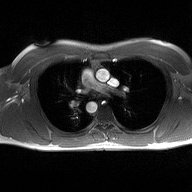
Summary: 2D phase-contrast cine MRI of the ascending aorta, high-resolution GRAPPA acquisition.